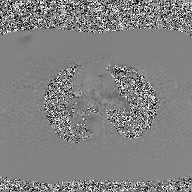
| field | value |
|---|---|
| modality | 2D phase-contrast cine MRI of the ascending aorta, GAN super-resolution reconstruction |